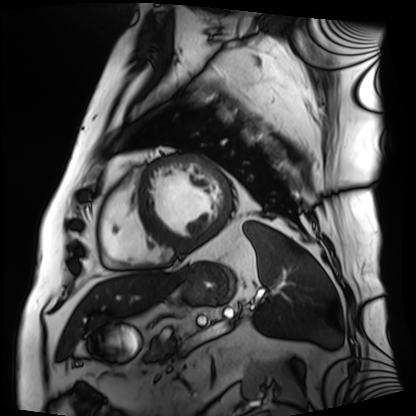
modality=cardiac MRI
subject group=patient